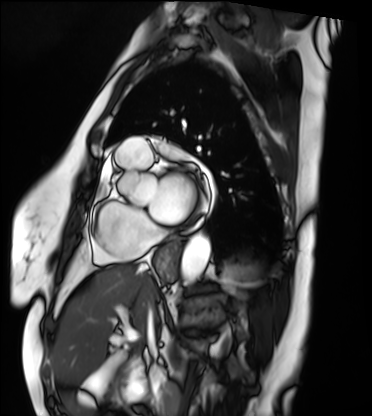
modality: cardiac MRI | subject group: patient.